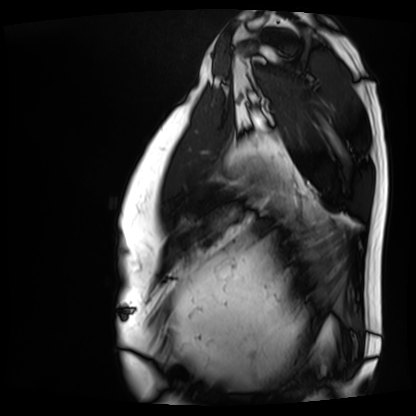
Cardiac MRI.
Subject group: patient.